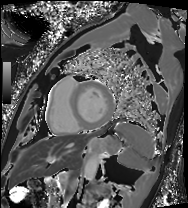
Cardiac MRI. Subject group: patient.